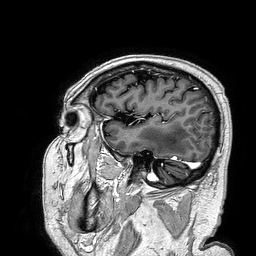
Case:
* modality — 3 Tesla brain MRI
* series — 3D T1-weighted turbo field echo
* study — ring-enhancing brain masses